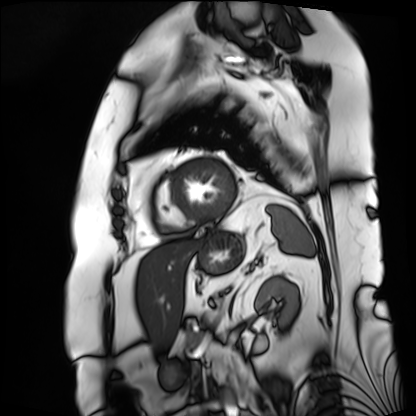
Q: What kind of scan is this?
A: Cardiac MRI.
Subject group: patient.